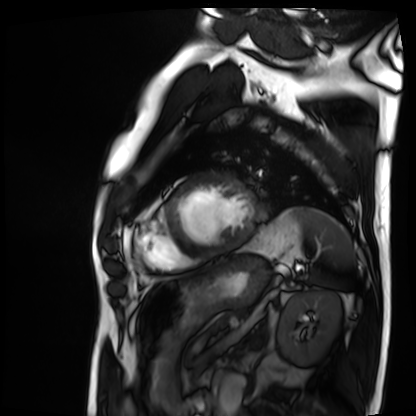
– modality: cardiac MRI
– subject group: patient